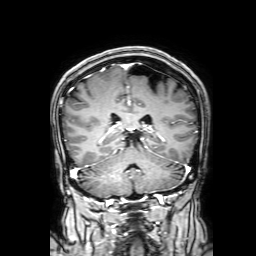
3 Tesla brain MRI. Series: 3D T1-weighted with SENSE. Study: ring-enhancing brain masses.